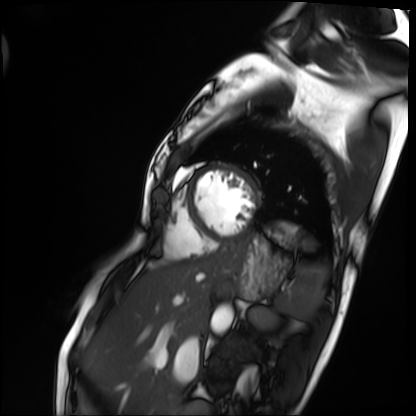
Summary:
Cardiac MRI. Subject group: patient.